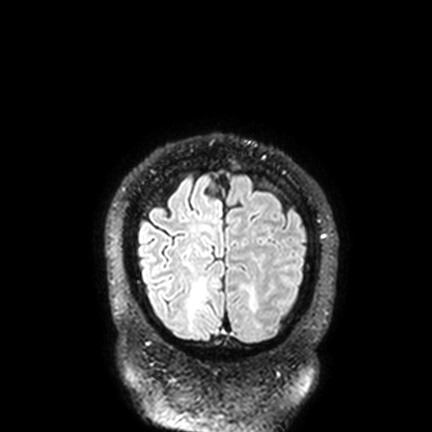
Summary: 3 Tesla brain MRI. Series: FLAIR VISTA with SENSE. Study: ring-enhancing brain masses.